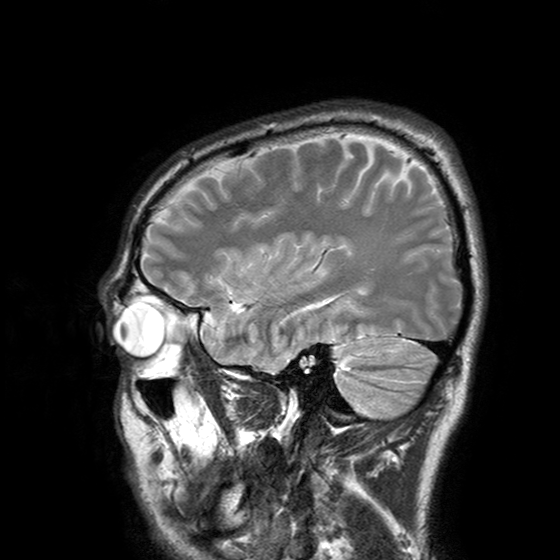
3 Tesla brain MRI. Series: T2-weighted turbo spin echo with SENSE. Study: ring-enhancing brain masses.